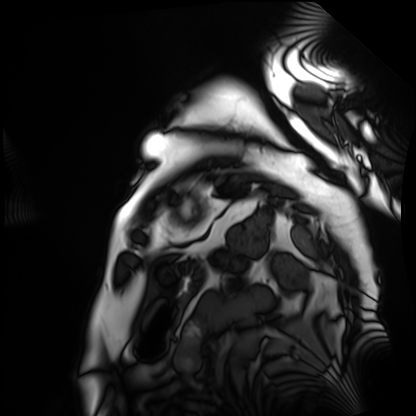
Cardiac MRI.
Subject group: patient.